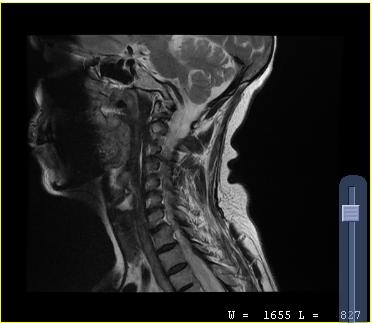
MRI of the cervical spine. Study: cervical spondylosis.